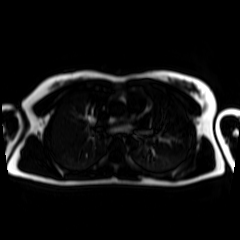
• modality: chemical-shift-encoded cardiac MRI